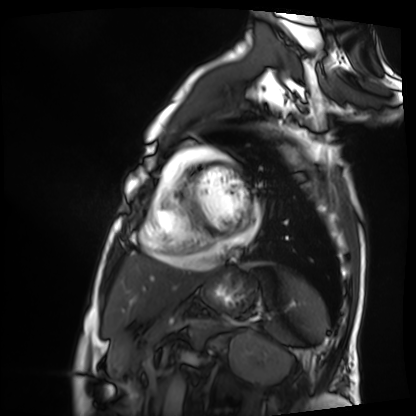
Cardiac MRI. Subject group: patient.